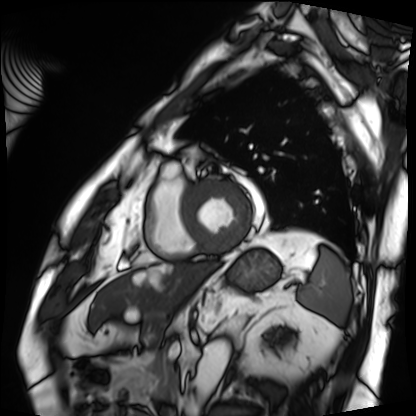
modality: cardiac MRI | subject group: patient.